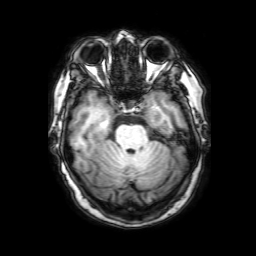
<scan>
<modality>
  <type>brain MRI</type>
  <field_strength>3T</field_strength>
</modality>
<series>3D T1-weighted with SENSE</series>
<study_topic>ring-enhancing brain masses</study_topic>
</scan>